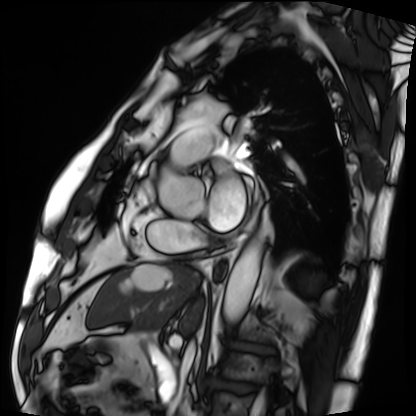
Clinical context:
Cardiac MRI. Subject group: patient.